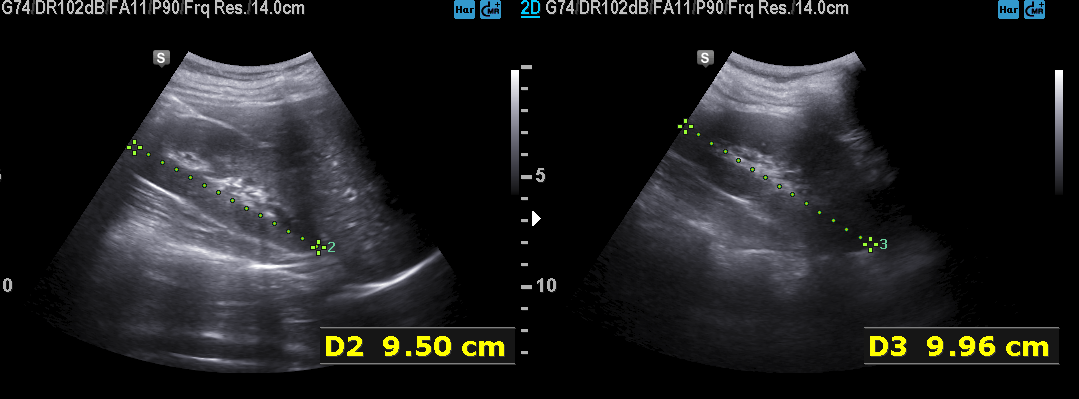
Summary:
Genitourinary ultrasound.